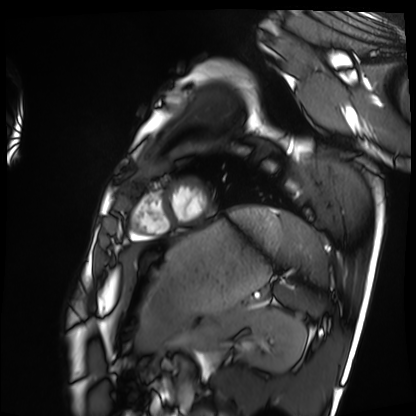
modality: cardiac MRI | subject group: healthy volunteer.